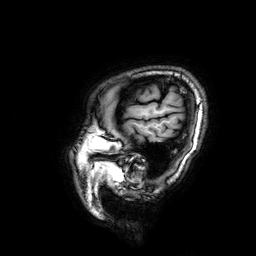
Case summary: 3 Tesla brain MRI. Series: 3D T1-weighted. Study: ring-enhancing brain masses.